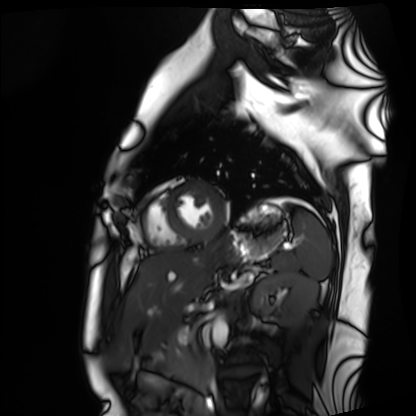
Cardiac MRI. Subject group: healthy volunteer.